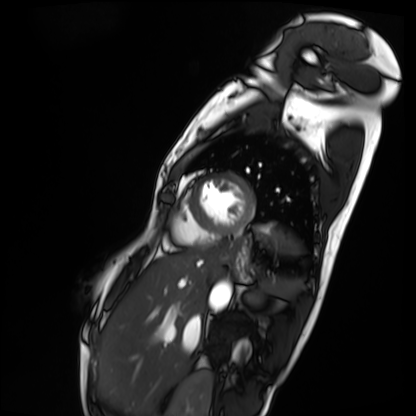
Case:
* modality · cardiac MRI
* subject group · patient